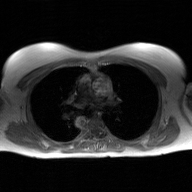
Summary: 2D phase-contrast cine MRI of the ascending aorta, GAN super-resolution reconstruction.